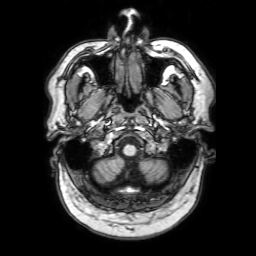
  modality:
    type: brain MRI
    field_strength: 3T
  series: 3D T1-weighted with SENSE
  study_topic: ring-enhancing brain masses